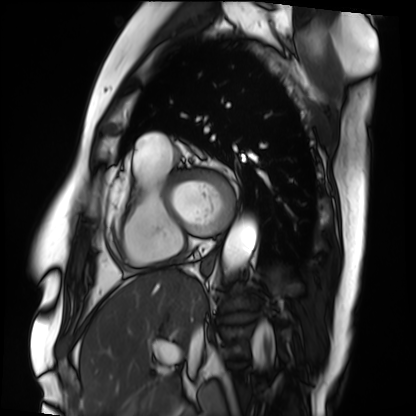
Clinical context: Cardiac MRI. Subject group: patient.